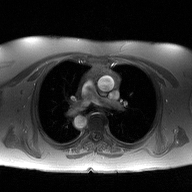
Case summary: 2D phase-contrast cine MRI of the ascending aorta, high-resolution GRAPPA acquisition.